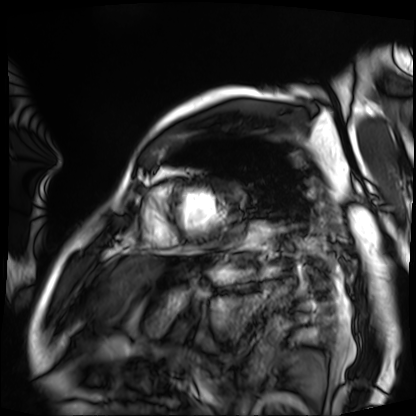
{
  "modality": "cardiac MRI",
  "cohort": "patient"
}